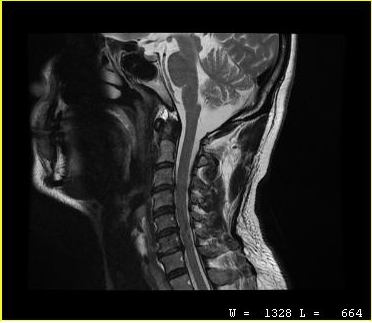
Case:
- modality — MRI of the cervical spine
- study — cervical spondylosis